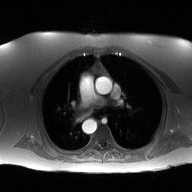
{"modality": {"type": "2D phase-contrast cine MRI", "region": "ascending aorta", "reconstruction": "high-resolution GRAPPA acquisition"}}